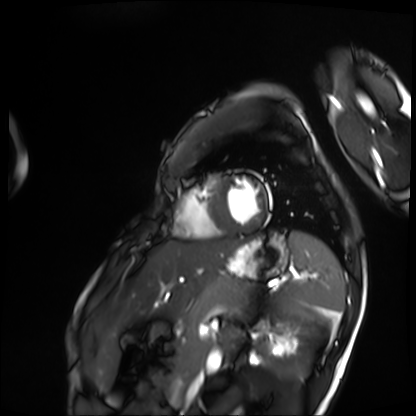
Summary: Cardiac MRI. Subject group: patient.